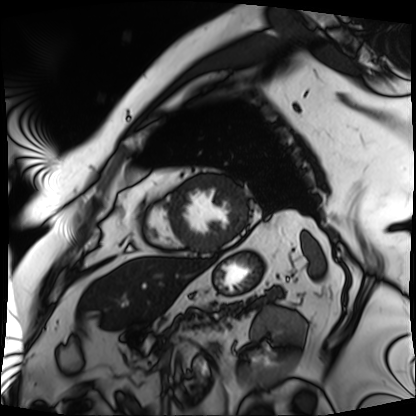
– modality · cardiac MRI
– subject group · patient